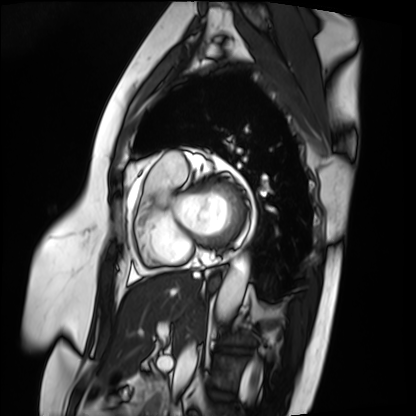
Case summary: Cardiac MRI. Subject group: patient.